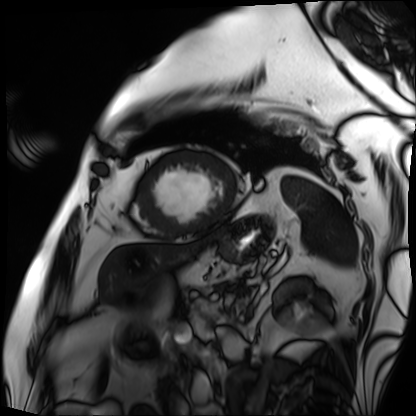
modality = cardiac MRI; subject group = patient.